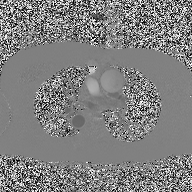
modality = 2D phase-contrast cine MRI of the ascending aorta.